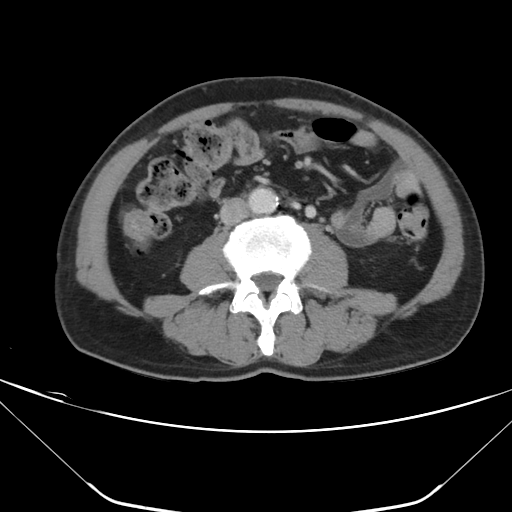
Multiphase abdominal CT, liver, portal venous phase.
Patient: male, age 61.